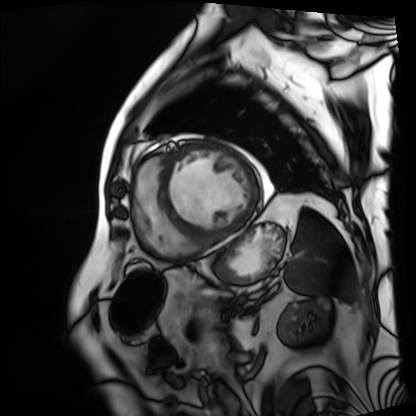
<scan>
<modality>cardiac MRI</modality>
<cohort>patient</cohort>
</scan>